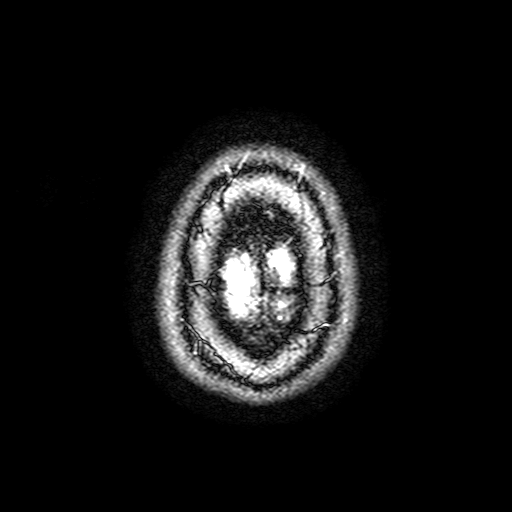
  modality:
    type: brain MRI
    field_strength: 3T
  series: FLAIR with SPAIR, 3 mm
  study_topic: ring-enhancing brain masses